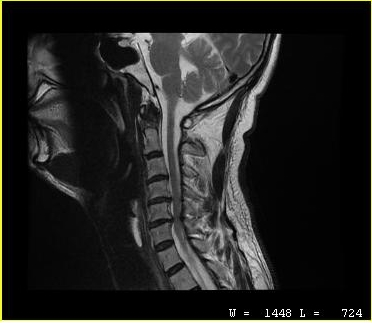
modality: MRI of the cervical spine | study: cervical spondylosis.